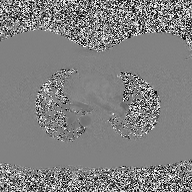
2D phase-contrast cine MRI of the ascending aorta, high-resolution GRAPPA acquisition.